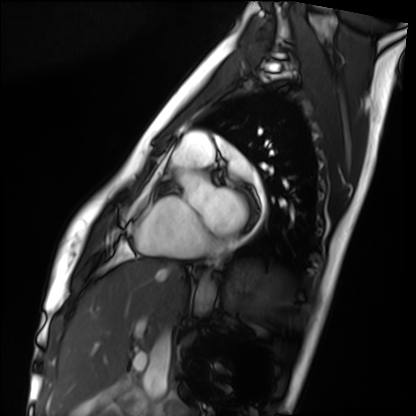
{
  "modality": "cardiac MRI",
  "cohort": "healthy volunteer"
}